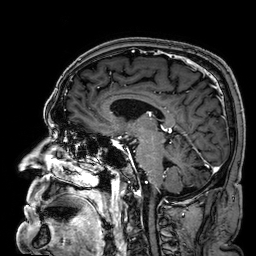
3 Tesla brain MRI.
Series: 3D T1-weighted.
Study: ring-enhancing brain masses.